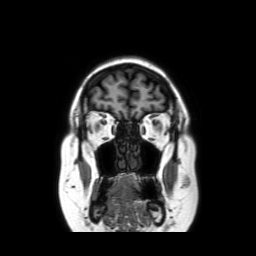
3 Tesla brain MRI. Series: coronal without contrast. Study: ring-enhancing brain masses.